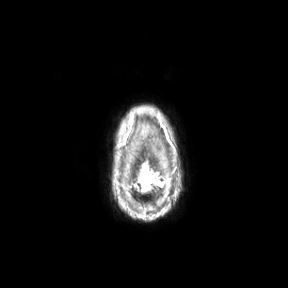
modality=3 Tesla brain MRI
series=axial
study=ring-enhancing brain masses